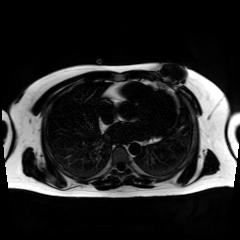
modality = chemical-shift-encoded cardiac MRI.